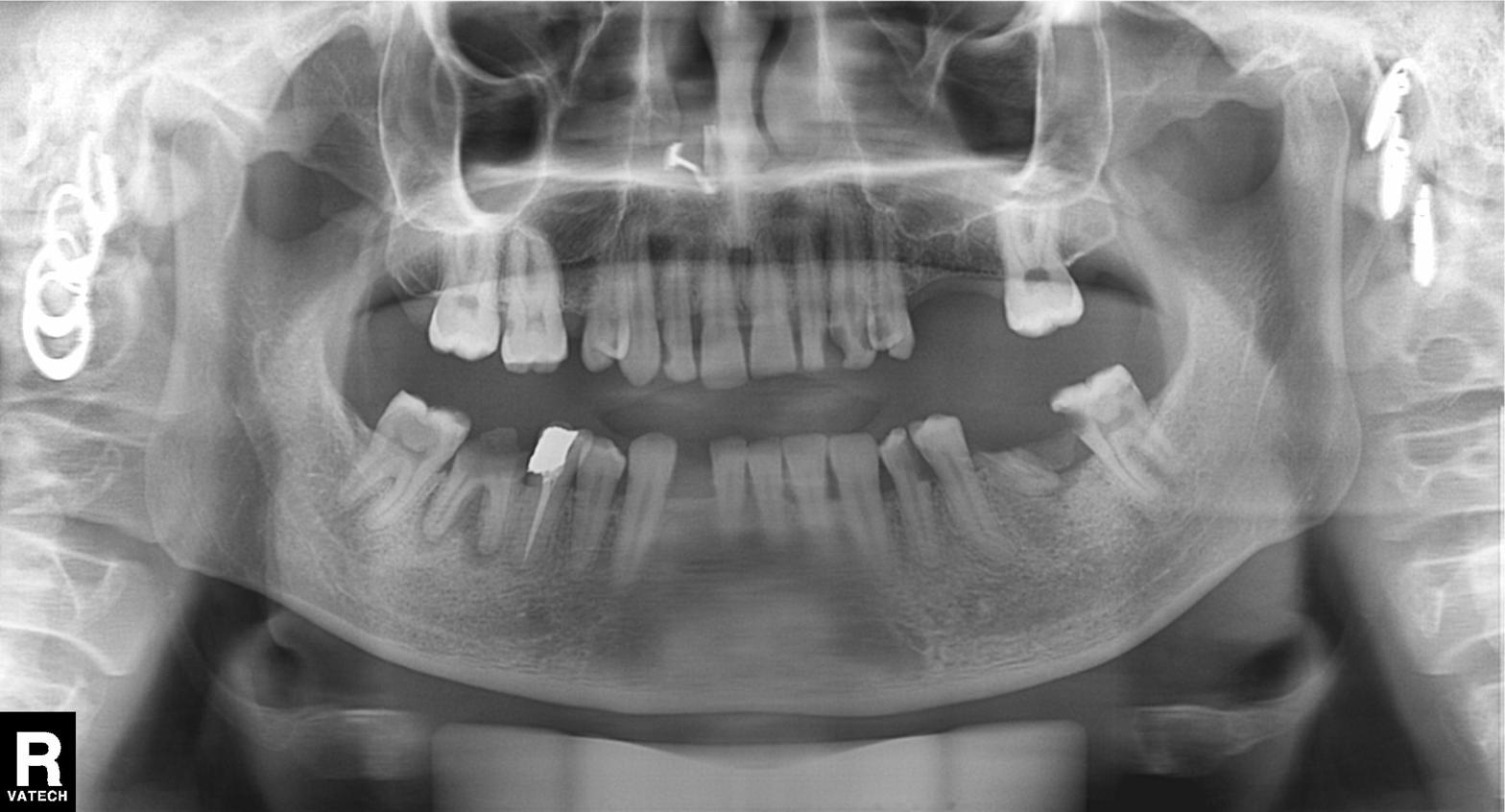
Case summary: Panoramic dental radiograph (orthopantomogram).
Conclusion: Alveolar bone loss.